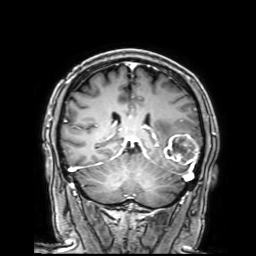
modality = 3 Tesla brain MRI
series = 3D T1-weighted with SENSE
study = ring-enhancing brain masses